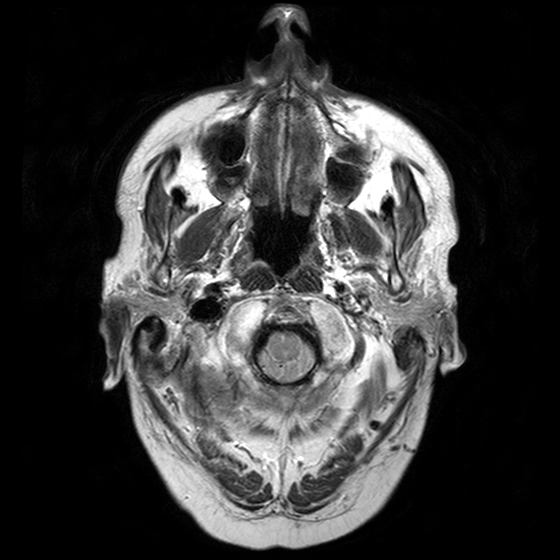
3 Tesla brain MRI.
Series: T2-weighted turbo spin echo with CLEAR.
Study: ring-enhancing brain masses.